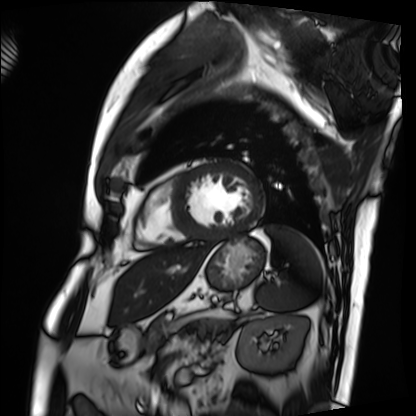
modality: cardiac MRI; subject group: patient.